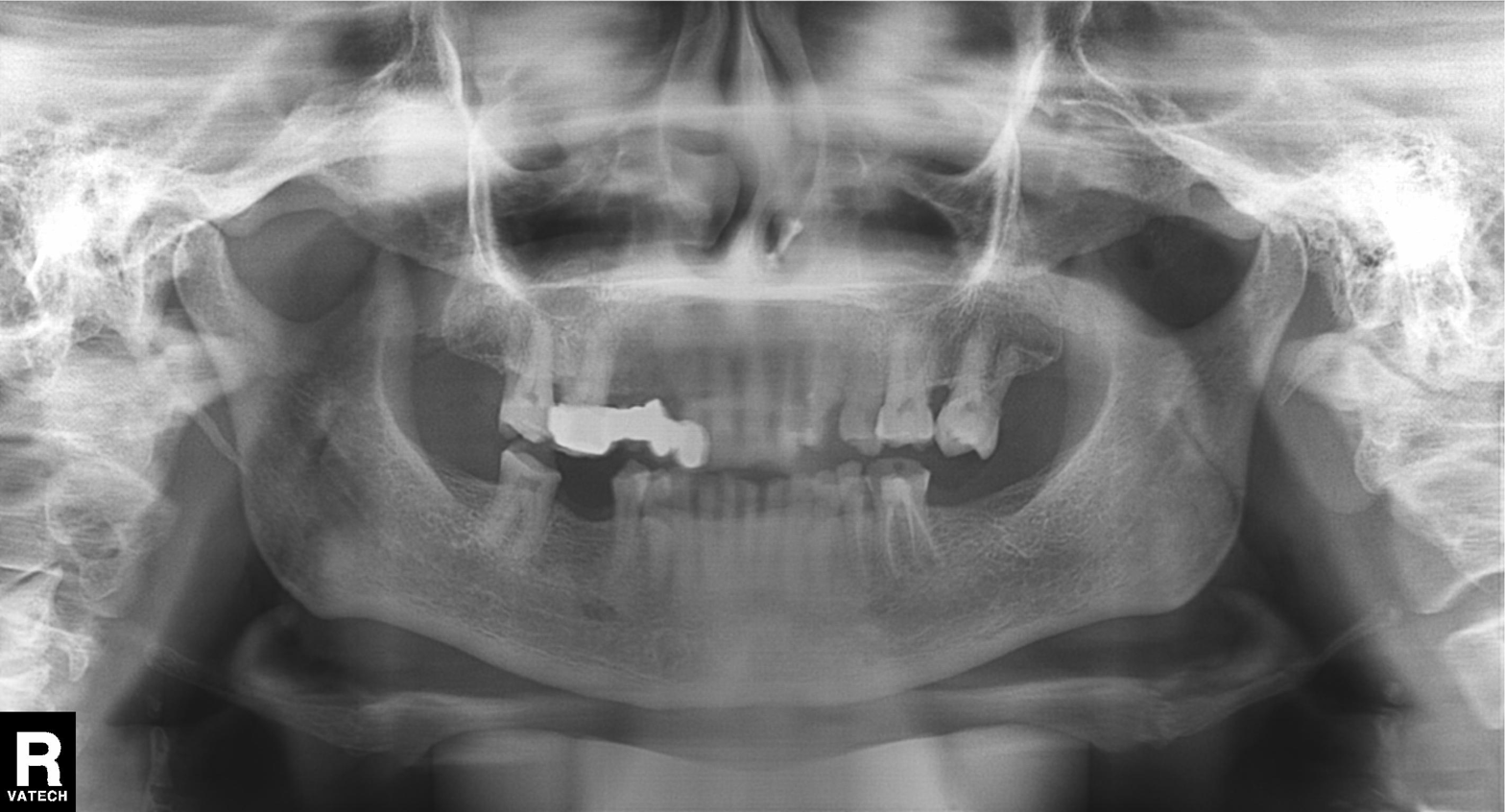
| feature | finding |
|---|---|
| modality | panoramic dental radiograph (orthopantomogram) |
| finding | tooth impaction |